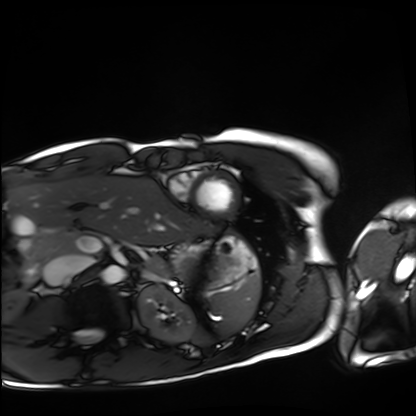
Q: What kind of scan is this?
A: Cardiac MRI.
Subject group: healthy volunteer.